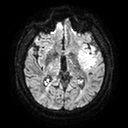
3 Tesla brain MRI. Series: diffusion tensor imaging (medium iso). Study: ring-enhancing brain masses.